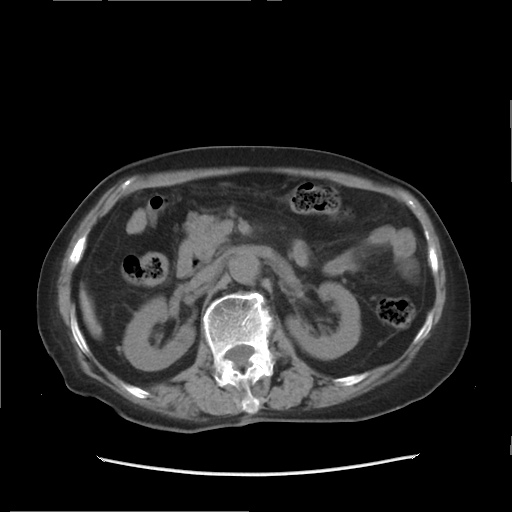
modality = multiphase abdominal CT, liver, non-contrast phase; patient = female, age 84.